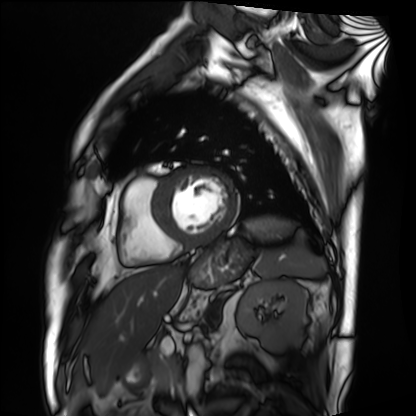
Case summary: Cardiac MRI. Subject group: patient.